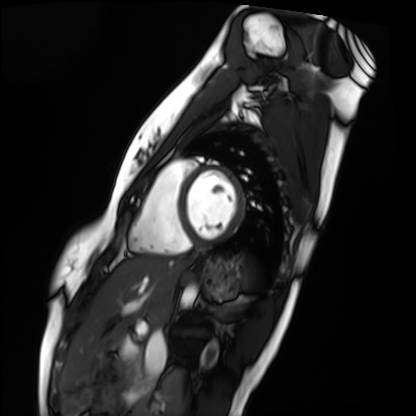
Summary:
Cardiac MRI. Subject group: healthy volunteer.